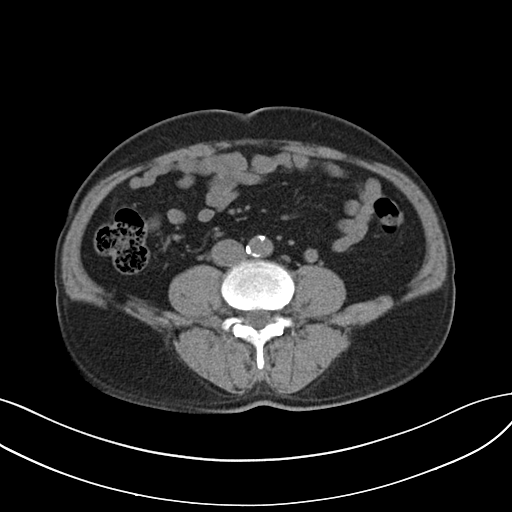
Multiphase abdominal CT, liver, non-contrast phase.
Patient: male, age 61.
History: cirrhosis, viral hepatitis.